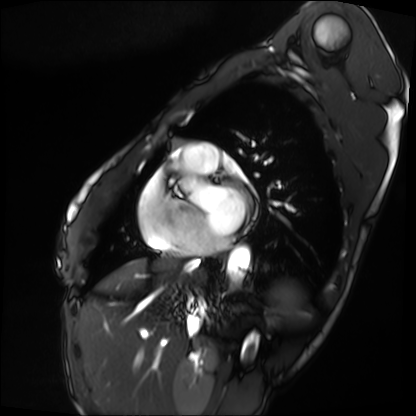
Cardiac MRI. Subject group: patient.